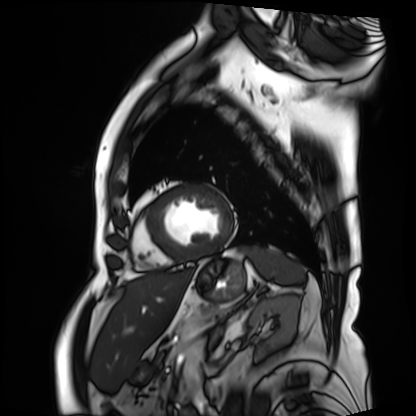
Cardiac MRI. Subject group: patient.